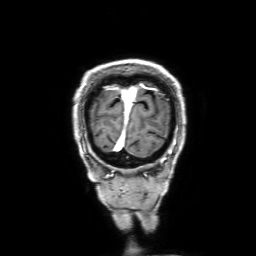
modality: 3 Tesla brain MRI
series: 3D T1-weighted with SENSE
study: ring-enhancing brain masses